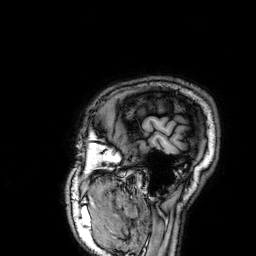
3 Tesla brain MRI.
Series: 3D T1-weighted.
Study: ring-enhancing brain masses.